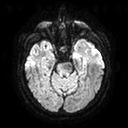
3 Tesla brain MRI.
Series: diffusion tensor imaging (medium iso).
Study: ring-enhancing brain masses.